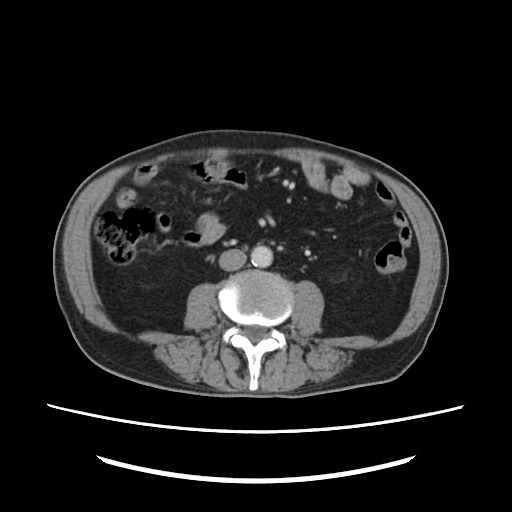
Multiphase abdominal CT, liver, portal venous phase.
Patient: male, age 82.
History: viral hepatitis.